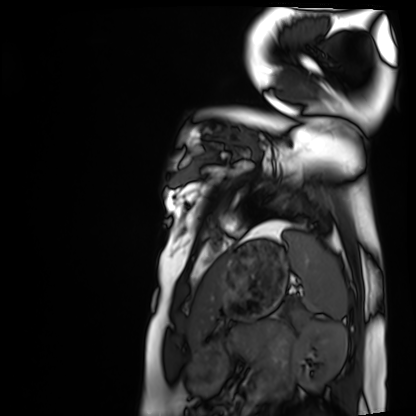
modality: cardiac MRI, subject group: healthy volunteer.